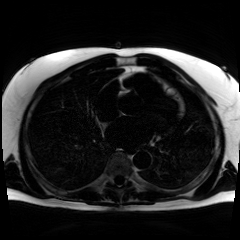
Case:
– modality: chemical-shift-encoded cardiac MRI